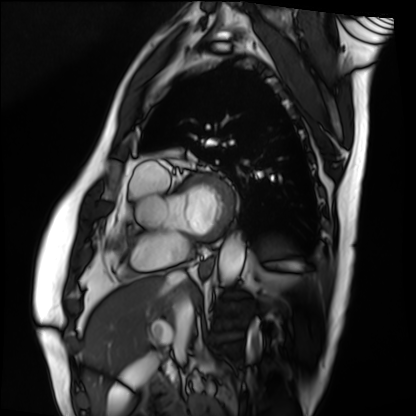
Cardiac MRI. Subject group: patient.